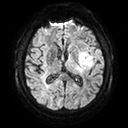
3 Tesla brain MRI. Series: diffusion tensor imaging (medium iso). Study: ring-enhancing brain masses.